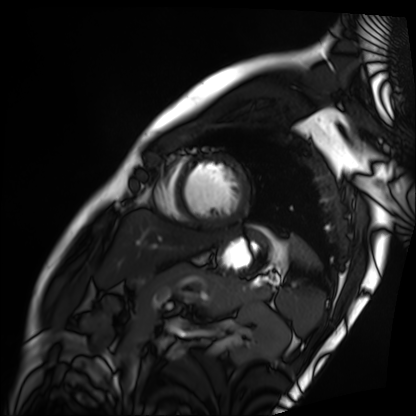
modality: cardiac MRI | subject group: patient.